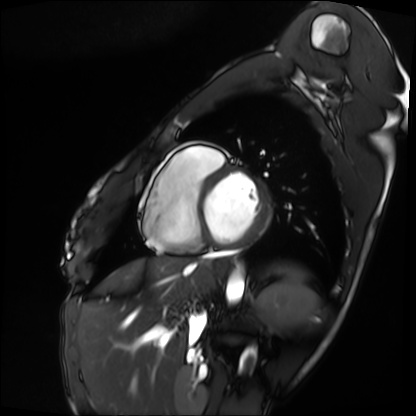
Summary: Cardiac MRI. Subject group: patient.